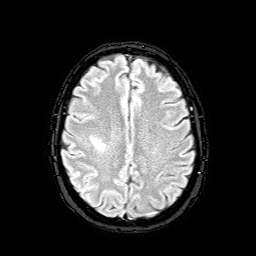
3 Tesla brain MRI. Series: FLAIR with SPAIR. Study: ring-enhancing brain masses.